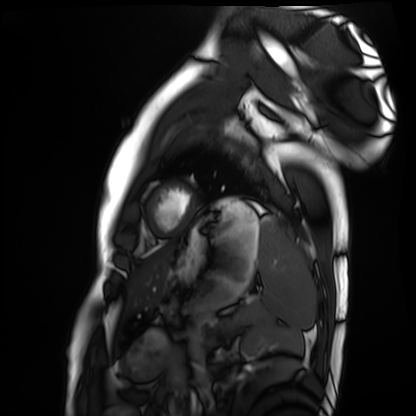
modality=cardiac MRI
subject group=healthy volunteer